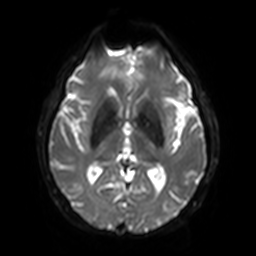
- modality · 3 Tesla brain MRI
- series · diffusion-weighted imaging with SENSE (WIP)
- study · ring-enhancing brain masses